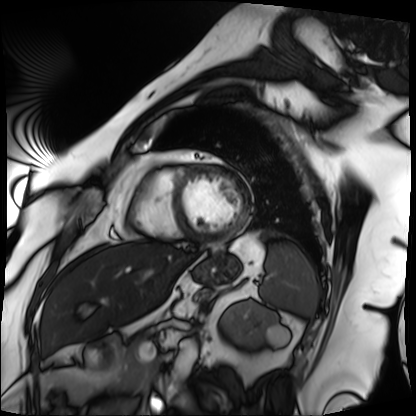
Case summary:
Cardiac MRI. Subject group: patient.